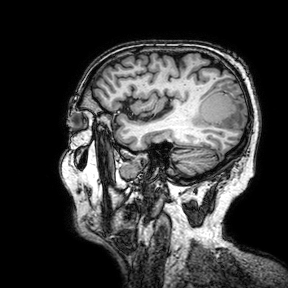
{"modality": {"type": "brain MRI", "field_strength": "3T"}, "series": "3D T1-weighted turbo field echo with SENSE", "study_topic": "ring-enhancing brain masses"}